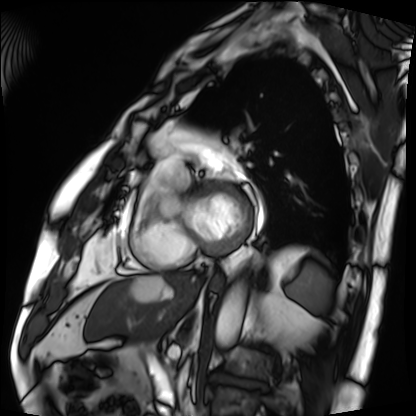
Cardiac MRI. Subject group: patient.